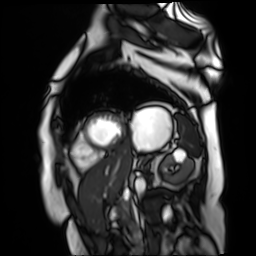
modality = cardiac MR image of the myocardium | subject cohort = cardiac patient.